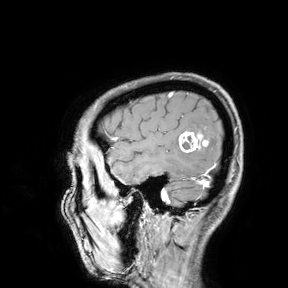
3 Tesla brain MRI.
Study: ring-enhancing brain masses.